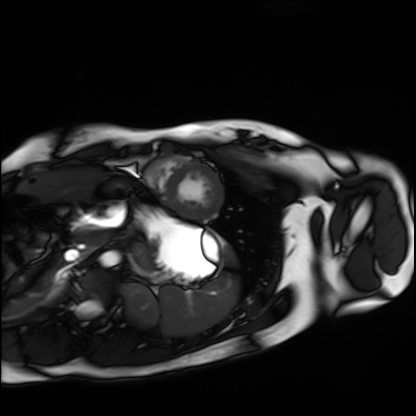
Q: What kind of scan is this?
A: Cardiac MRI.
Subject group: healthy volunteer.